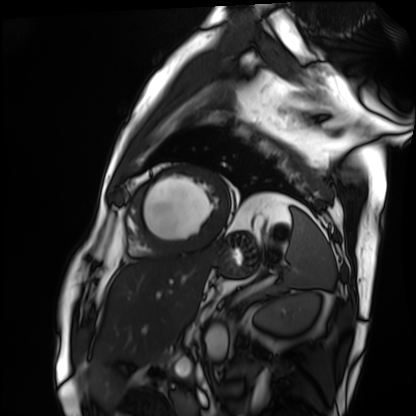
Cardiac MRI.
Subject group: patient.